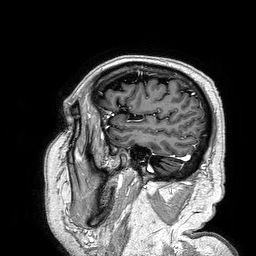
Q: What kind of scan is this?
A: 3 Tesla brain MRI.
Q: Series?
A: 3D T1-weighted turbo field echo.
Study: ring-enhancing brain masses.